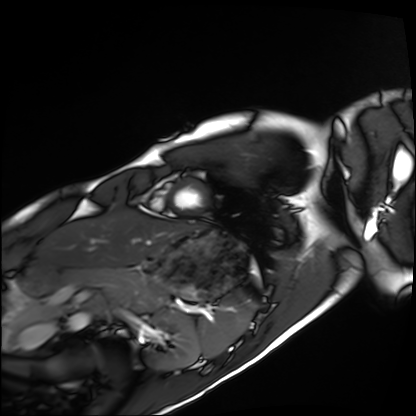
Cardiac MRI.
Subject group: healthy volunteer.